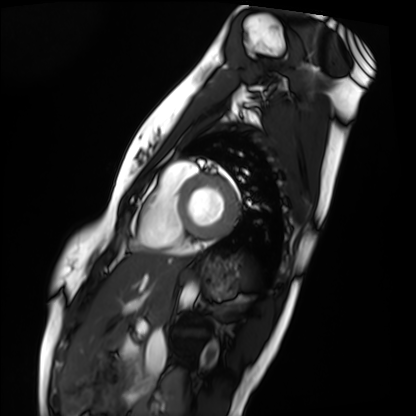
Cardiac MRI. Subject group: healthy volunteer.